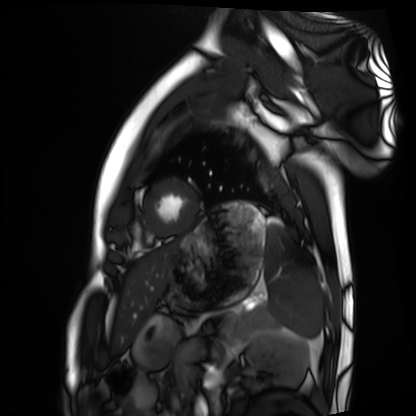
{
  "modality": "cardiac MRI",
  "cohort": "healthy volunteer"
}